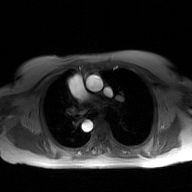
Summary:
2D phase-contrast cine MRI of the ascending aorta, GAN super-resolution reconstruction.